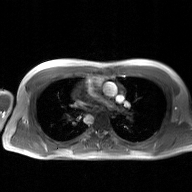
– modality — 2D phase-contrast cine MRI of the ascending aorta, GAN super-resolution reconstruction